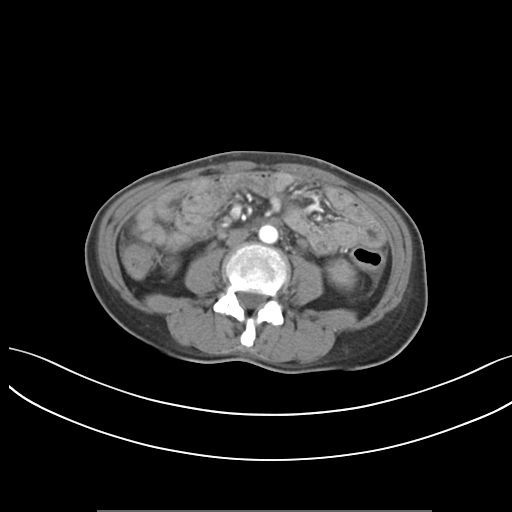
Multiphase abdominal CT, liver, arterial phase. Patient: female, age 46. History: prior chemotherapy.